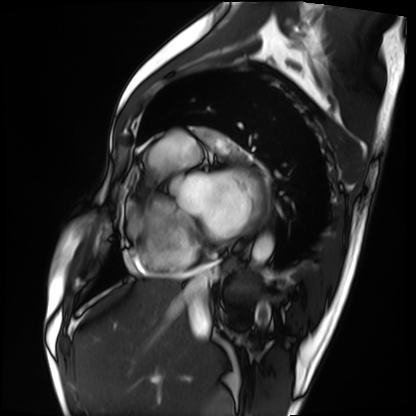
Summary: Cardiac MRI. Subject group: patient.